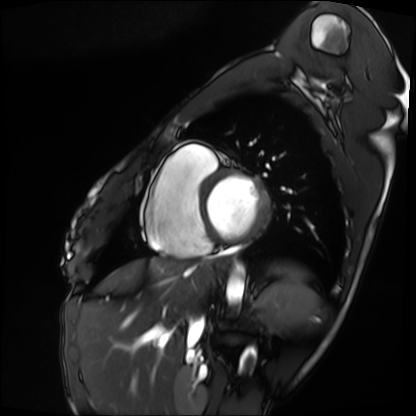
<scan>
  <modality>cardiac MRI</modality>
  <cohort>patient</cohort>
</scan>